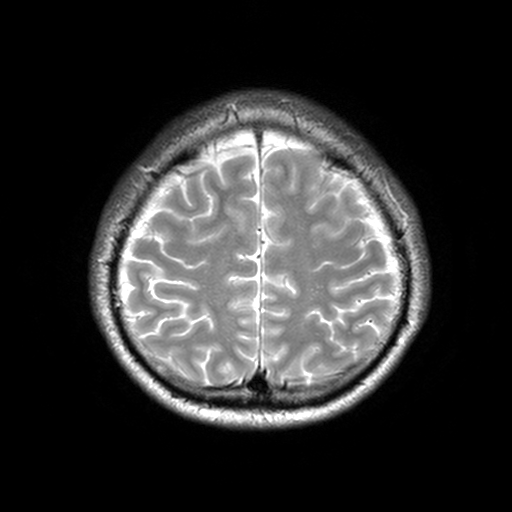
modality=3 Tesla brain MRI | series=T2-weighted turbo spin echo, 3 mm | study=ring-enhancing brain masses.